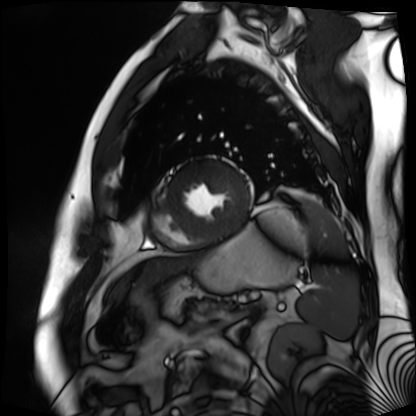
modality=cardiac MR image of the myocardium
subject cohort=cardiac patient